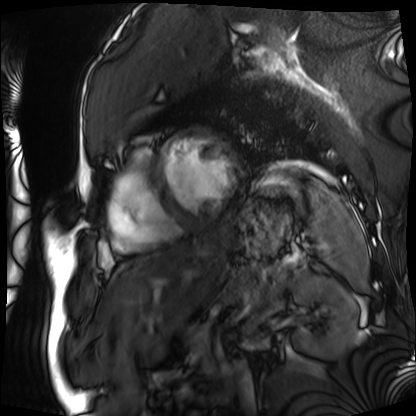
  modality: cardiac MRI
  cohort: patient